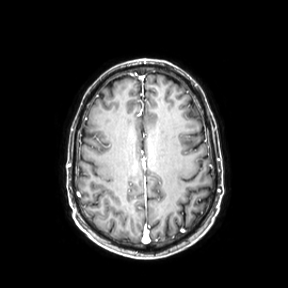
Case summary:
3 Tesla brain MRI. Series: axial. Study: ring-enhancing brain masses.